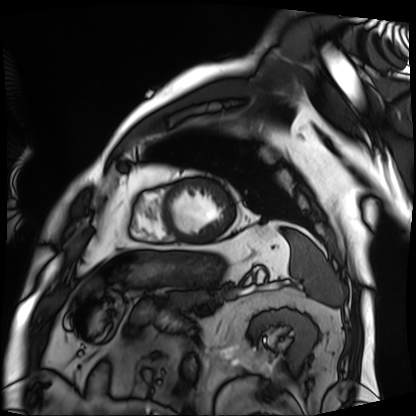
<scan>
  <modality>cardiac MRI</modality>
  <cohort>patient</cohort>
</scan>